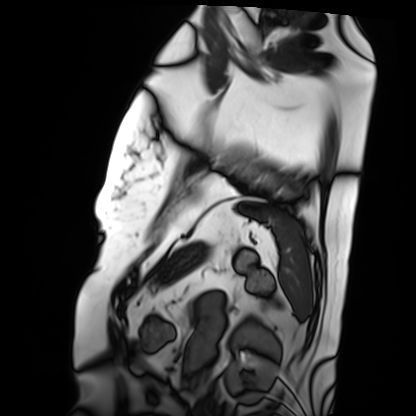
<case>
<modality>cardiac MRI</modality>
<cohort>patient</cohort>
</case>